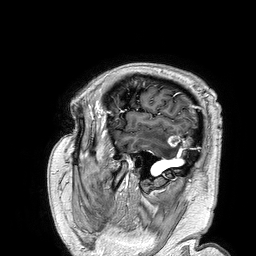
Q: What kind of scan is this?
A: 3 Tesla brain MRI.
Q: Series?
A: 3D T1-weighted turbo field echo.
Study: ring-enhancing brain masses.